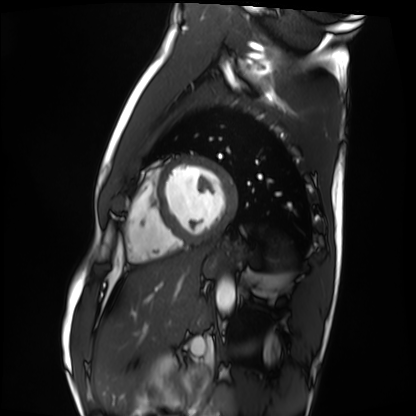
{"modality": "cardiac MRI", "cohort": "healthy volunteer"}